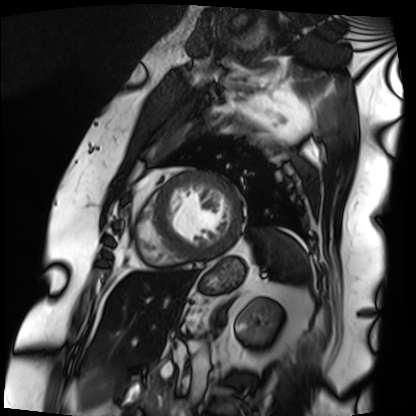
Cardiac MRI.
Subject group: patient.